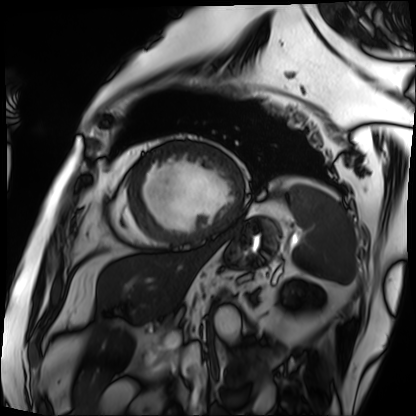
Cardiac MRI. Subject group: patient.